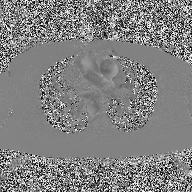
Q: What kind of scan is this?
A: 2D phase-contrast cine MRI of the ascending aorta.